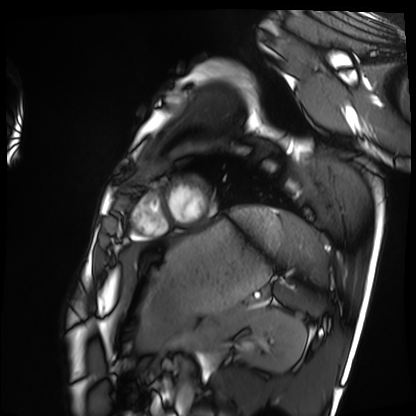
| field | value |
|---|---|
| modality | cardiac MRI |
| subject group | healthy volunteer |